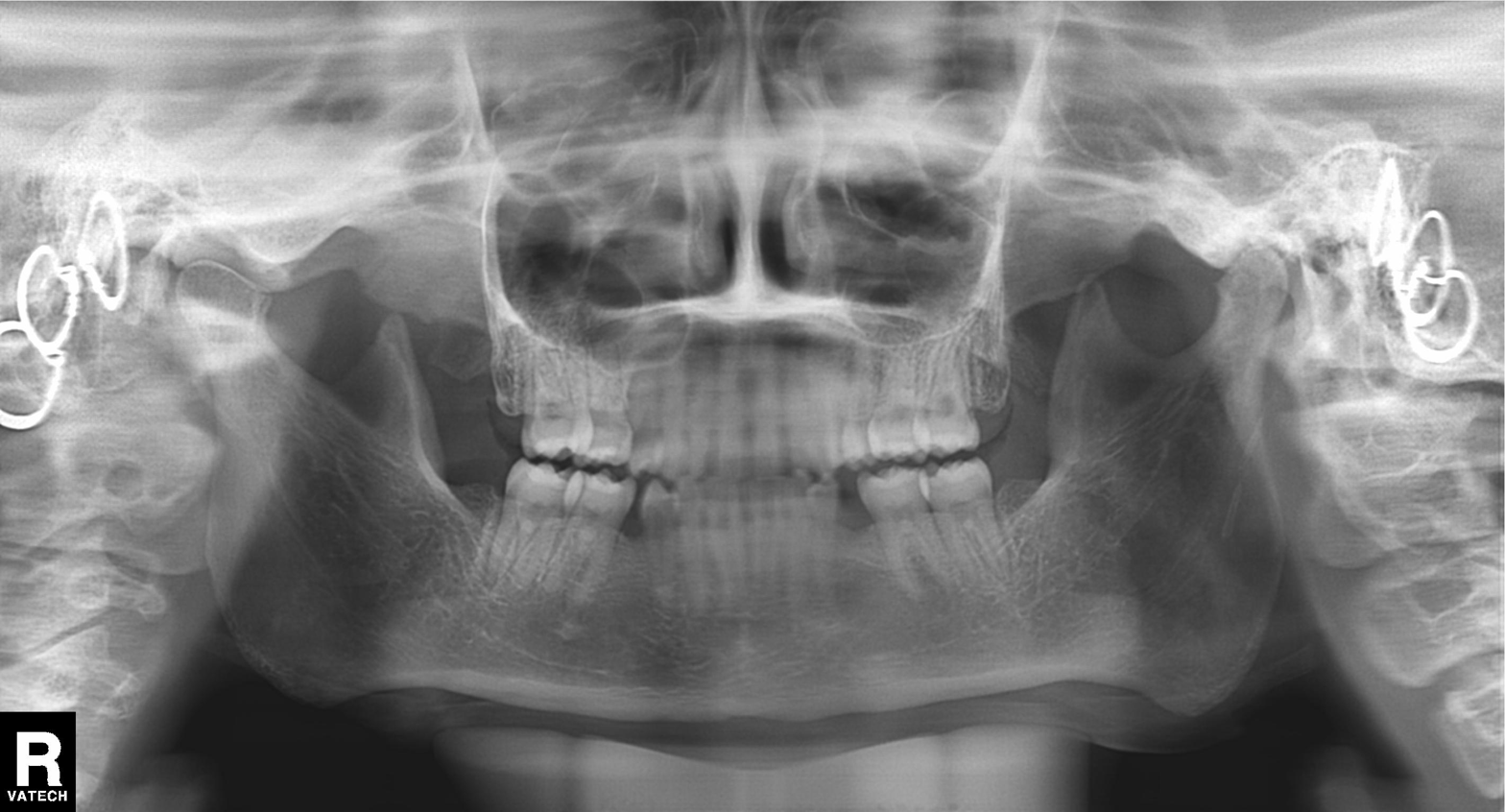
Panoramic dental radiograph (orthopantomogram). Finding: alveolar bone loss.